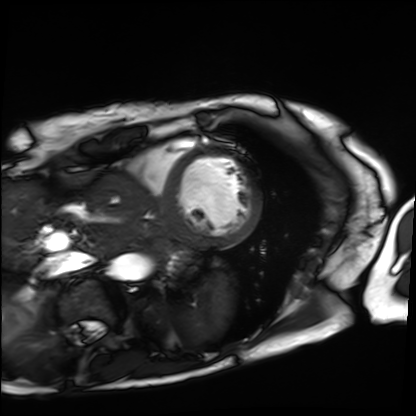
Cardiac MRI. Subject group: patient.